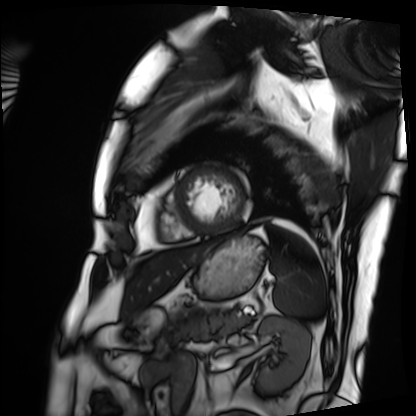
modality: cardiac MRI
subject group: patient